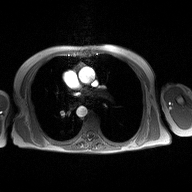
modality=2D phase-contrast cine MRI of the ascending aorta